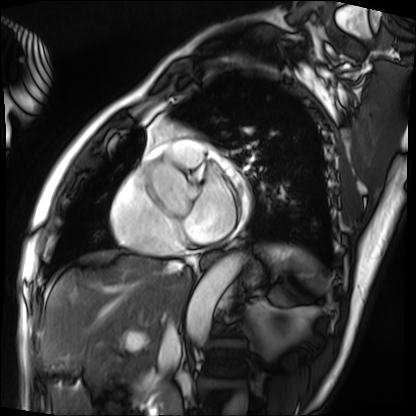
* modality — cardiac MRI
* subject group — patient